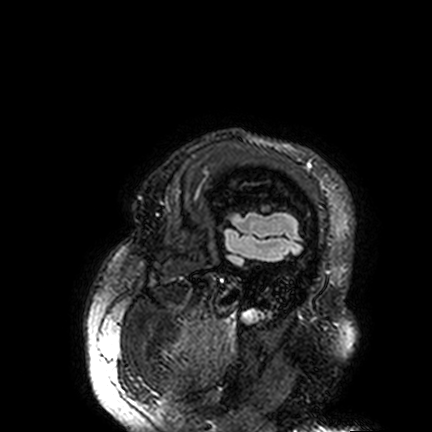
modality: 3 Tesla brain MRI; series: FLAIR VISTA; study: ring-enhancing brain masses.